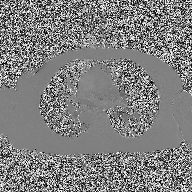
2D phase-contrast cine MRI of the ascending aorta, high-resolution GRAPPA acquisition.